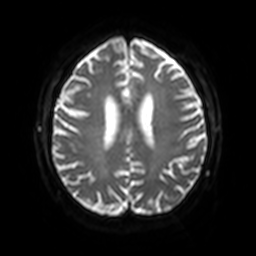
modality: 3 Tesla brain MRI; series: diffusion-weighted imaging with SENSE (WIP); study: ring-enhancing brain masses.